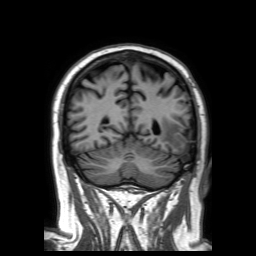
3 Tesla brain MRI. Series: 3D T1-weighted TFE with SENSE. Study: ring-enhancing brain masses.